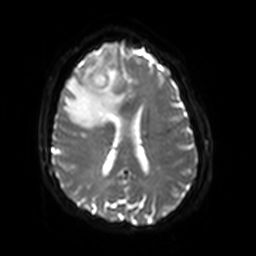
<scan>
<modality>
  <type>brain MRI</type>
  <field_strength>3T</field_strength>
</modality>
<series>diffusion-weighted imaging with SENSE (WIP)</series>
<study_topic>ring-enhancing brain masses</study_topic>
</scan>